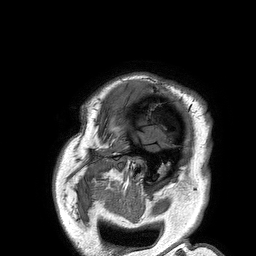
3 Tesla brain MRI. Series: 3D T1-weighted turbo field echo. Study: ring-enhancing brain masses.